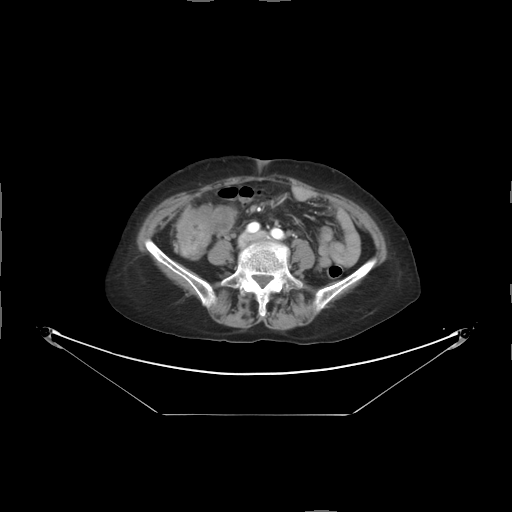
Multiphase abdominal CT, liver, arterial phase. Patient: female, age 63.